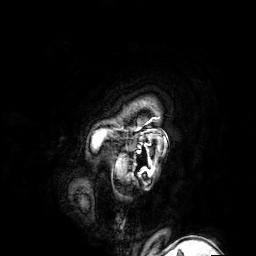
3 Tesla brain MRI.
Series: 3D T1-weighted turbo field echo with SENSE.
Study: ring-enhancing brain masses.